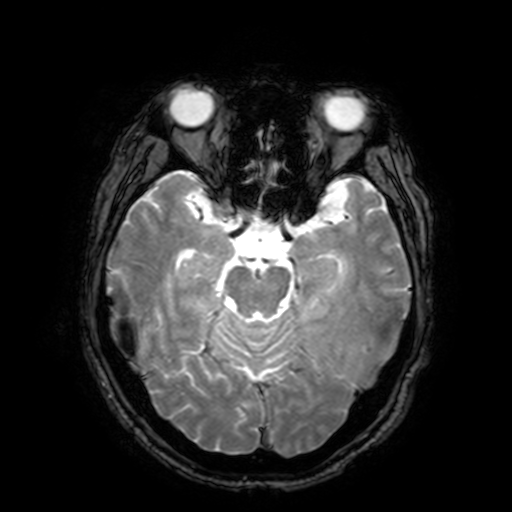
3 Tesla brain MRI. Series: T2-weighted fast field echo with SENSE. Study: ring-enhancing brain masses.